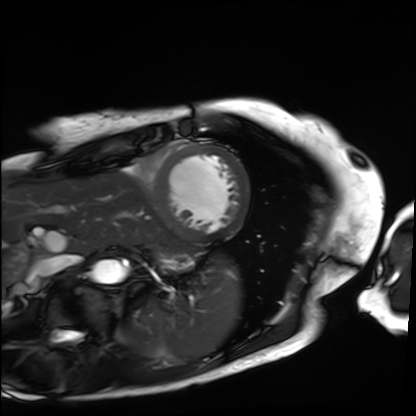
Cardiac MRI. Subject group: patient.